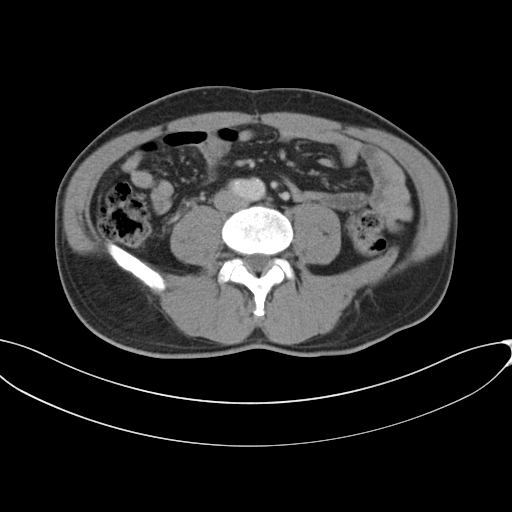
Summary: Multiphase abdominal CT, liver, portal venous phase. Patient: male, age 46.